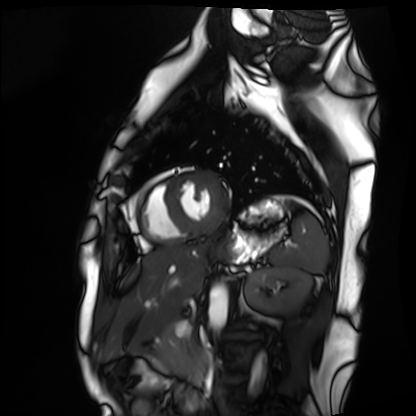
Summary:
Cardiac MRI. Subject group: healthy volunteer.